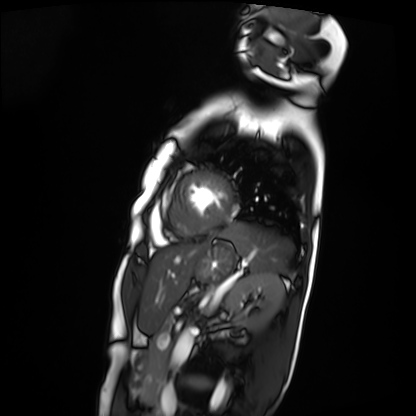
| field | value |
|---|---|
| modality | cardiac MRI |
| subject group | patient |